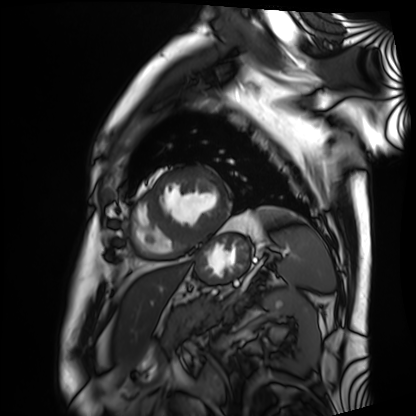
| field | value |
|---|---|
| modality | cardiac MRI |
| subject group | patient |